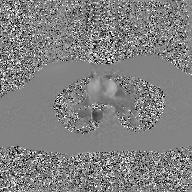
2D phase-contrast cine MRI of the ascending aorta, GAN super-resolution reconstruction.